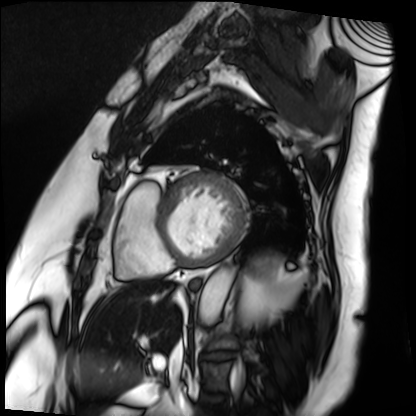
modality: cardiac MRI | subject group: patient.